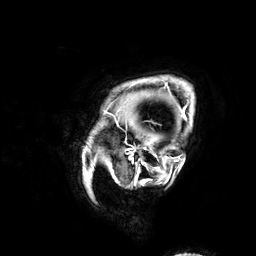
3 Tesla brain MRI. Series: 3D T1-weighted. Study: ring-enhancing brain masses.